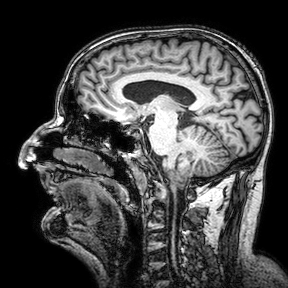
Clinical context: 3 Tesla brain MRI. Series: 3D T1-weighted turbo field echo with SENSE. Study: ring-enhancing brain masses.